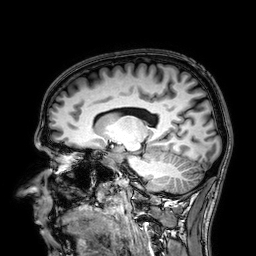
Clinical context: 3 Tesla brain MRI. Series: 3D T1-weighted. Study: ring-enhancing brain masses.